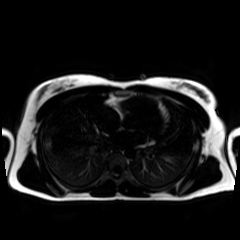
Q: What kind of scan is this?
A: Chemical-shift-encoded cardiac MRI.